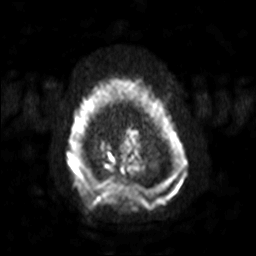
<case>
<modality>
  <type>brain MRI</type>
  <field_strength>3T</field_strength>
</modality>
<series>diffusion-weighted imaging with SENSE (WIP)</series>
<study_topic>ring-enhancing brain masses</study_topic>
</case>